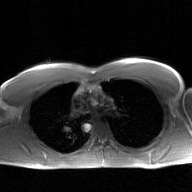
2D phase-contrast cine MRI of the ascending aorta, GAN super-resolution reconstruction.